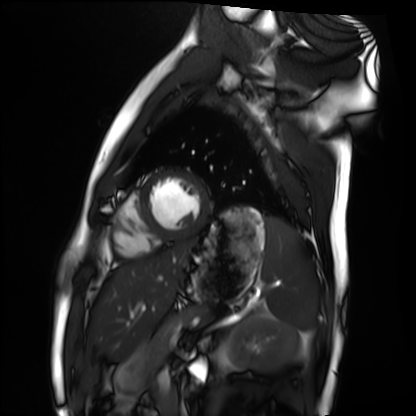
Cardiac MRI. Subject group: healthy volunteer.